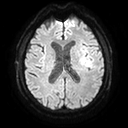
Summary:
3 Tesla brain MRI. Series: diffusion tensor imaging (medium iso). Study: ring-enhancing brain masses.